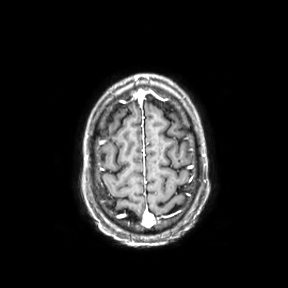
3 Tesla brain MRI. Series: axial. Study: ring-enhancing brain masses.